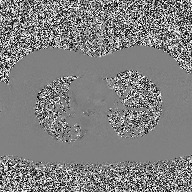
2D phase-contrast cine MRI of the ascending aorta, high-resolution GRAPPA acquisition.